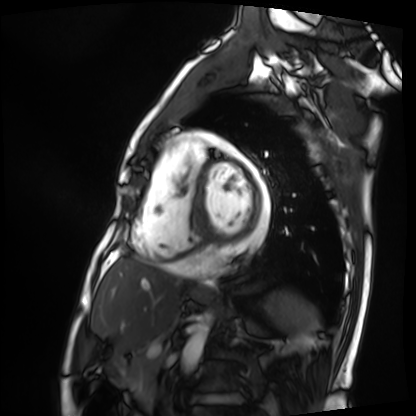
Cardiac MRI.
Subject group: patient.